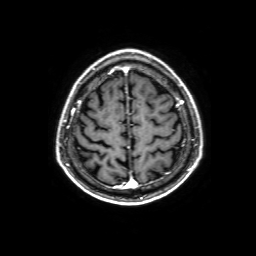
3 Tesla brain MRI. Series: 3D T1-weighted with SENSE. Study: ring-enhancing brain masses.